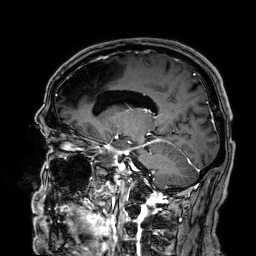
- modality: 3 Tesla brain MRI
- series: 3D T1-weighted
- study: ring-enhancing brain masses